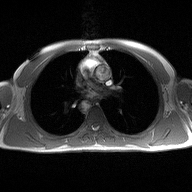
2D phase-contrast cine MRI of the ascending aorta, high-resolution GRAPPA acquisition.